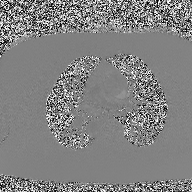
– modality: 2D phase-contrast cine MRI of the ascending aorta